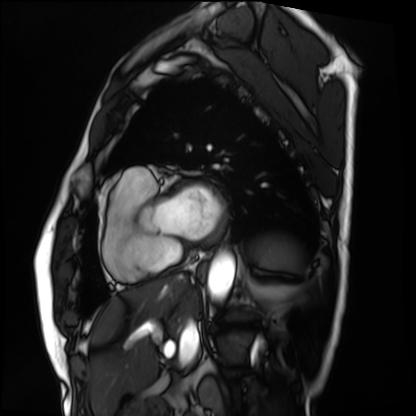
Clinical context:
Cardiac MRI. Subject group: patient.